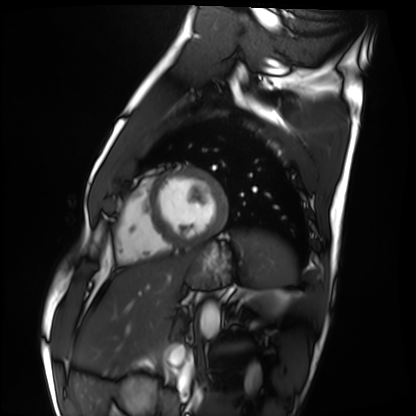
Q: What kind of scan is this?
A: Cardiac MRI.
Subject group: healthy volunteer.